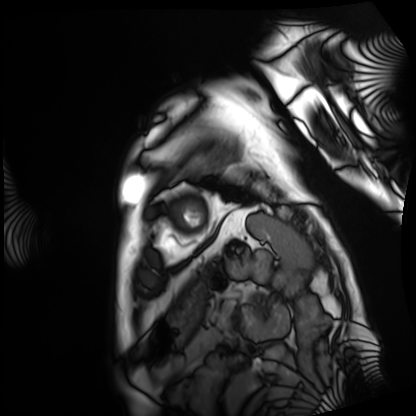
{"modality": "cardiac MRI", "cohort": "patient"}